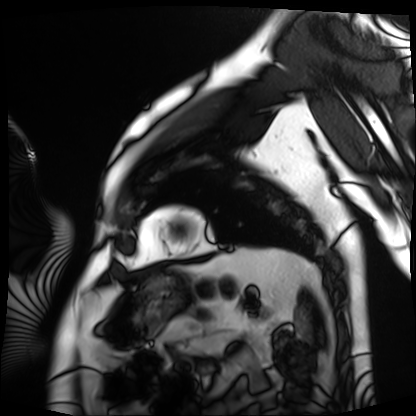
Cardiac MRI. Subject group: patient.